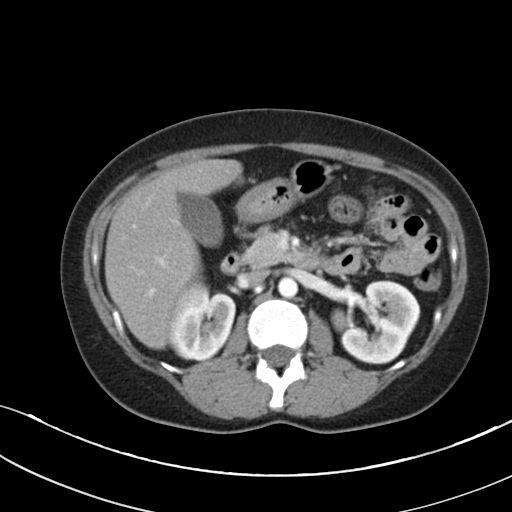
Multiphase abdominal CT, liver, arterial phase. Patient: female, age 36.